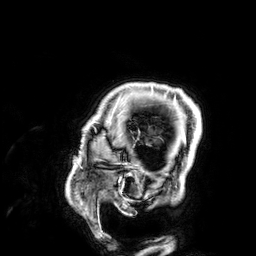
3 Tesla brain MRI.
Series: 3D T1-weighted.
Study: ring-enhancing brain masses.